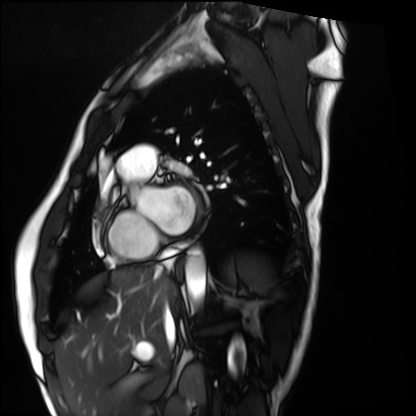
• modality: cardiac MRI
• subject group: healthy volunteer